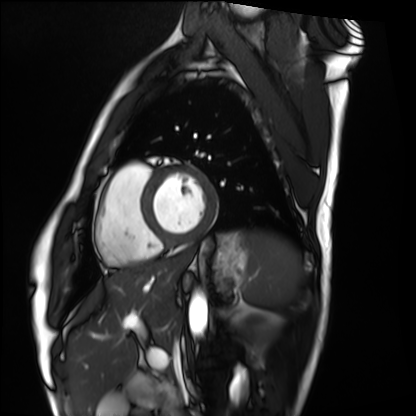
Cardiac MRI.
Subject group: healthy volunteer.